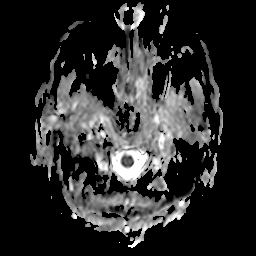
Clinical context: 3 Tesla brain MRI. Series: apparent diffusion coefficient (ADC) map. Study: ring-enhancing brain masses.